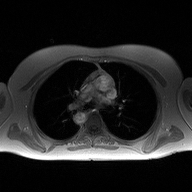
Summary: 2D phase-contrast cine MRI of the ascending aorta, high-resolution GRAPPA acquisition.